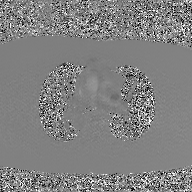
Case summary:
2D phase-contrast cine MRI of the ascending aorta, GAN super-resolution reconstruction.